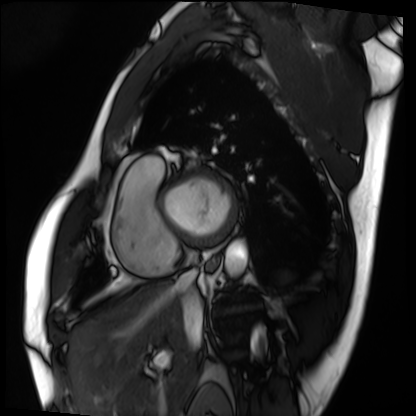
Cardiac MRI.
Subject group: patient.